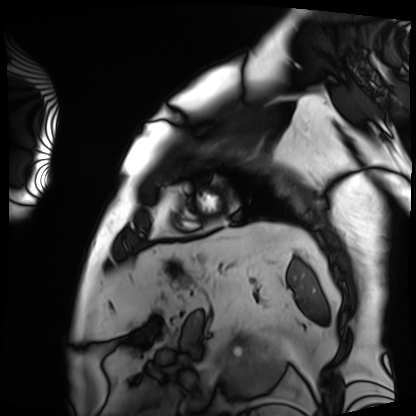
modality: cardiac MRI
cohort: patient